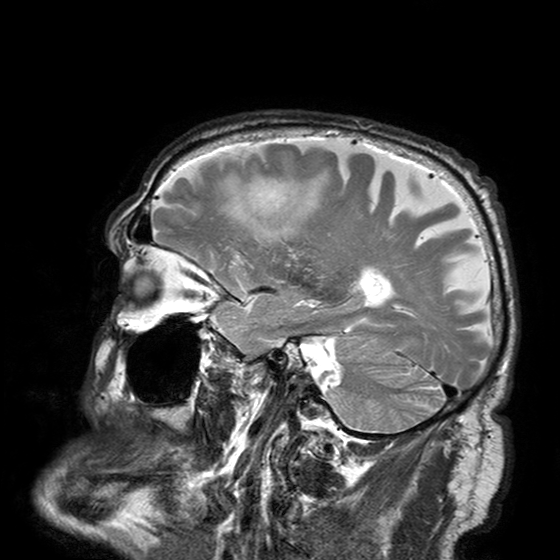
  modality:
    type: brain MRI
    field_strength: 3T
  series: T2-weighted turbo spin echo with SENSE
  study_topic: ring-enhancing brain masses